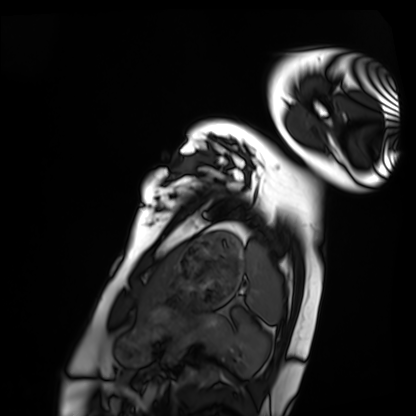
modality = cardiac MRI | subject group = healthy volunteer.